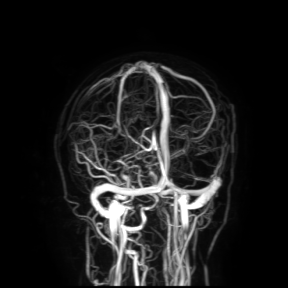
3 Tesla brain MRI. Study: ring-enhancing brain masses.